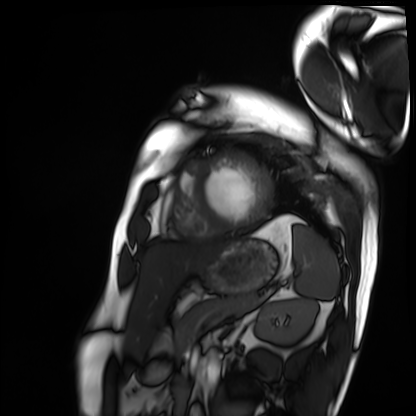
Clinical context:
Cardiac MRI. Subject group: patient.